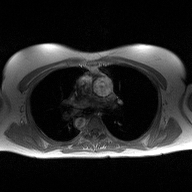
Case:
* modality: 2D phase-contrast cine MRI of the ascending aorta